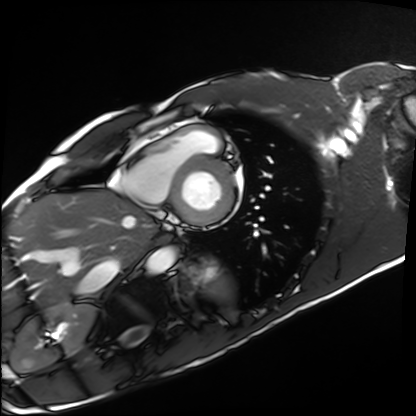
Cardiac MRI. Subject group: healthy volunteer.